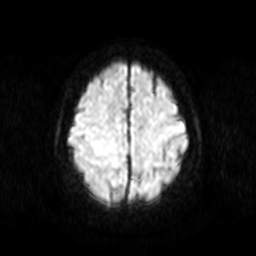
Summary: 3 Tesla brain MRI. Series: diffusion-weighted imaging. Study: ring-enhancing brain masses.